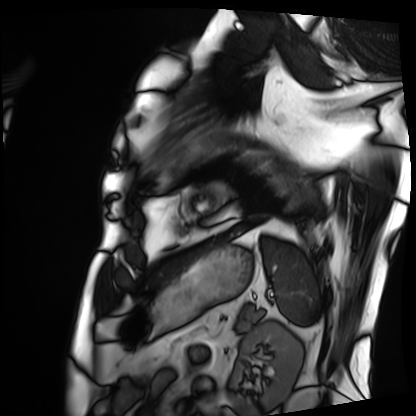
Case:
– modality: cardiac MRI
– subject group: patient